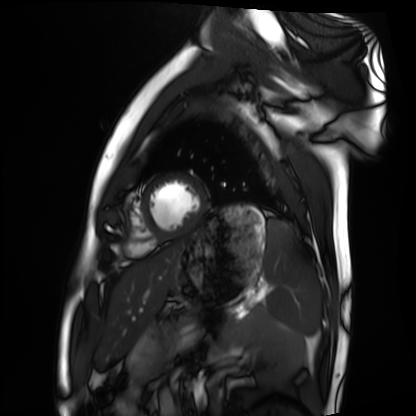
Summary:
Cardiac MRI. Subject group: healthy volunteer.